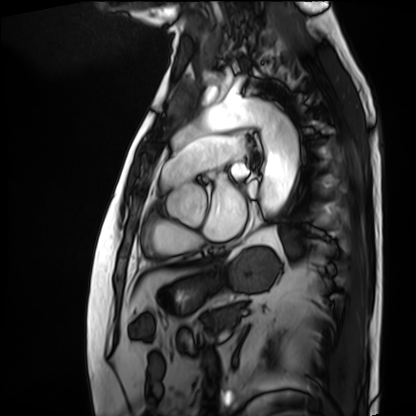
Cardiac MRI. Subject group: patient.